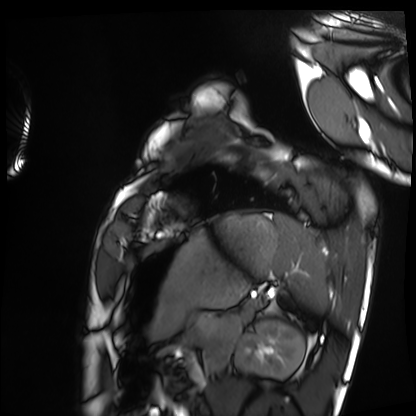
Cardiac MRI.
Subject group: healthy volunteer.